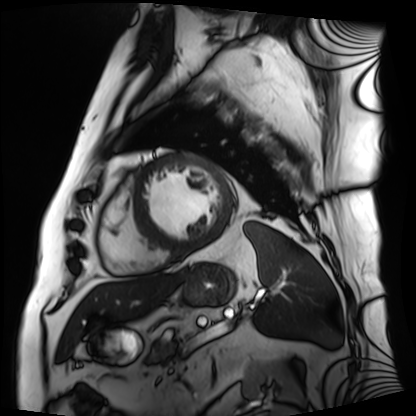
Cardiac MRI.
Subject group: patient.